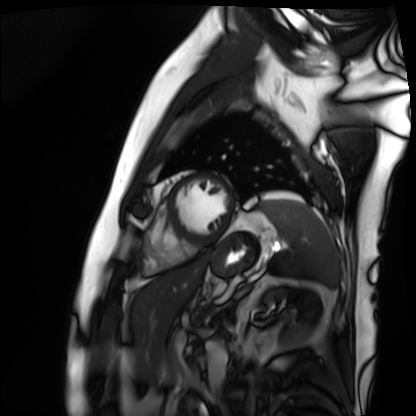
modality: cardiac MRI; subject group: patient.